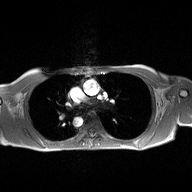
Q: What kind of scan is this?
A: 2D phase-contrast cine MRI of the ascending aorta.